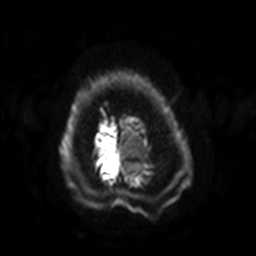
3 Tesla brain MRI. Study: ring-enhancing brain masses.